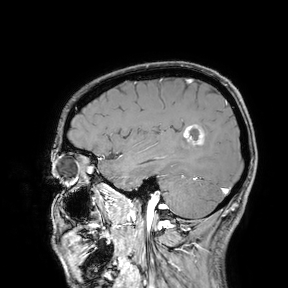
Case summary:
3 Tesla brain MRI. Study: ring-enhancing brain masses.